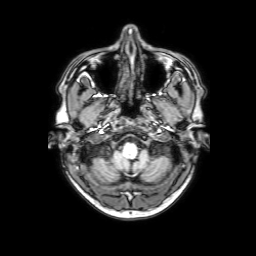
  modality:
    type: brain MRI
    field_strength: 3T
  series: 3D T1-weighted with SENSE
  study_topic: ring-enhancing brain masses